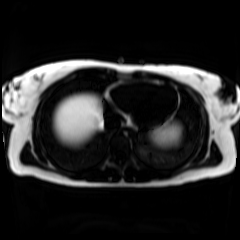
Chemical-shift-encoded cardiac MRI.